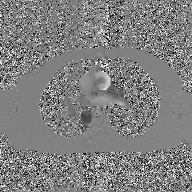
2D phase-contrast cine MRI of the ascending aorta, GAN super-resolution reconstruction.